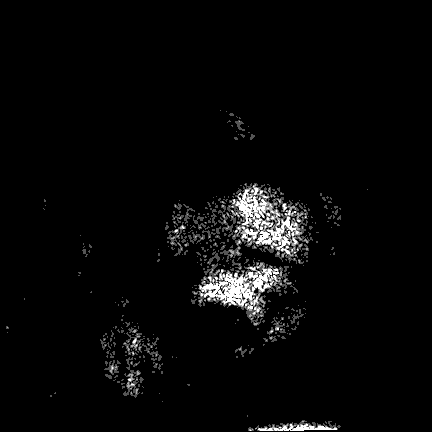
3 Tesla brain MRI. Series: FLAIR VISTA. Study: ring-enhancing brain masses.